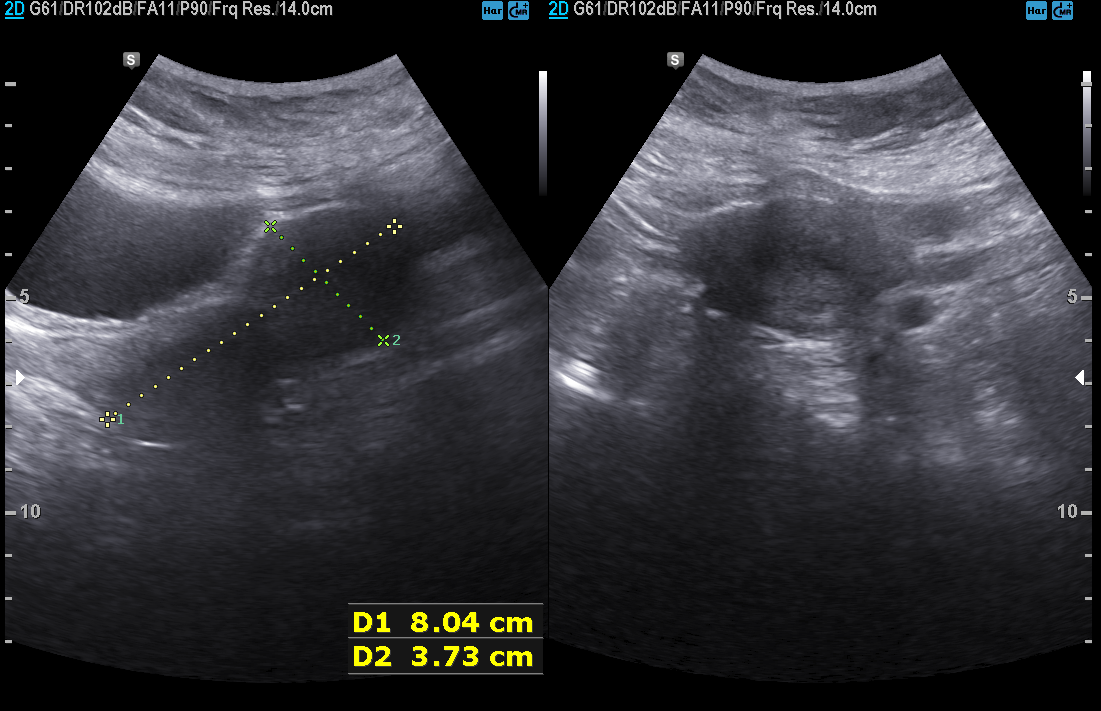
{
  "modality": {
    "type": "genitourinary ultrasound"
  }
}